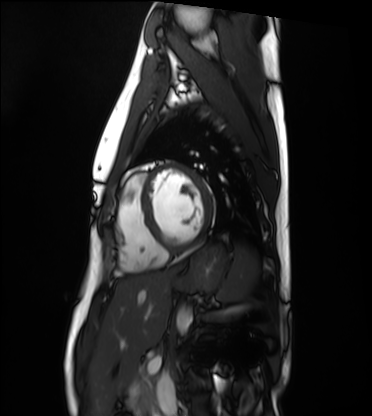
modality: cardiac MRI
subject group: healthy volunteer